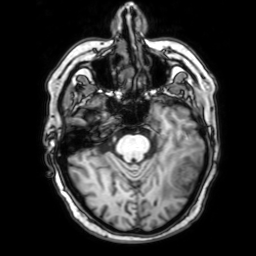
modality: 3 Tesla brain MRI
series: 3D T1-weighted with SENSE
study: ring-enhancing brain masses